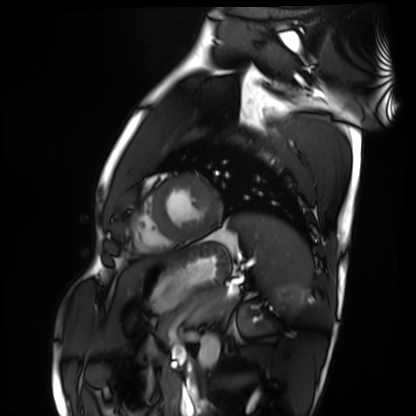
Cardiac MRI. Subject group: healthy volunteer.